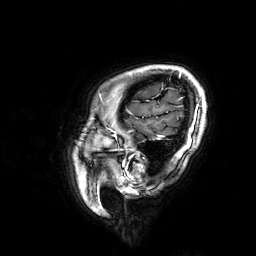
Q: What kind of scan is this?
A: 3 Tesla brain MRI.
Q: Series?
A: 3D T1-weighted.
Study: ring-enhancing brain masses.